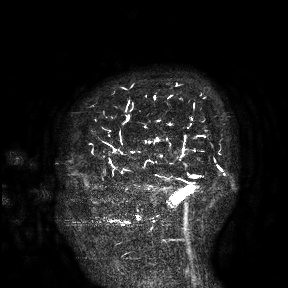
3 Tesla brain MRI.
Study: ring-enhancing brain masses.